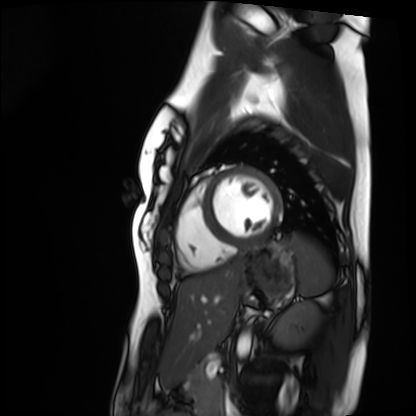
modality = cardiac MRI | subject group = healthy volunteer.